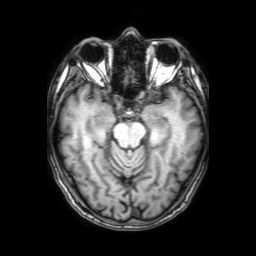
<scan>
  <modality>
    <type>brain MRI</type>
    <field_strength>3T</field_strength>
  </modality>
  <series>3D T1-weighted with SENSE</series>
  <study_topic>ring-enhancing brain masses</study_topic>
</scan>